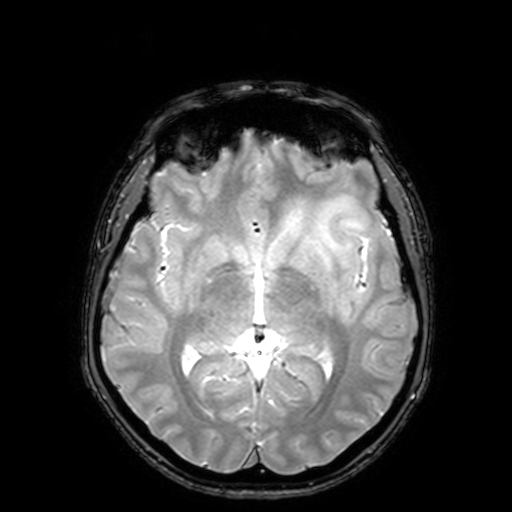
Case:
• modality · 3 Tesla brain MRI
• series · T2-weighted fast field echo with SENSE
• study · ring-enhancing brain masses